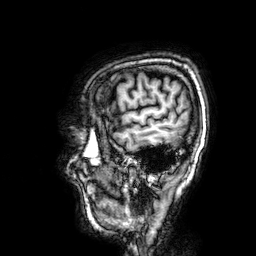
– modality: 3 Tesla brain MRI
– series: 3D T1-weighted
– study: ring-enhancing brain masses